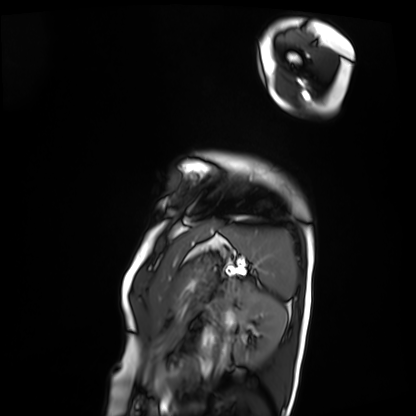
{"modality": "cardiac MRI", "cohort": "patient"}